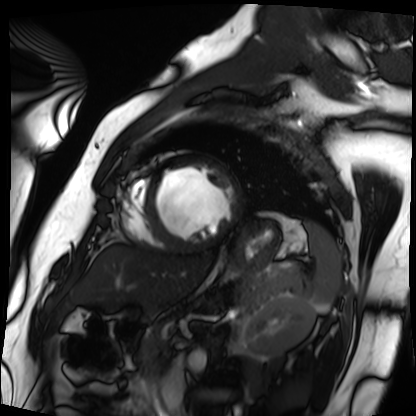
Summary:
Cardiac MRI. Subject group: patient.